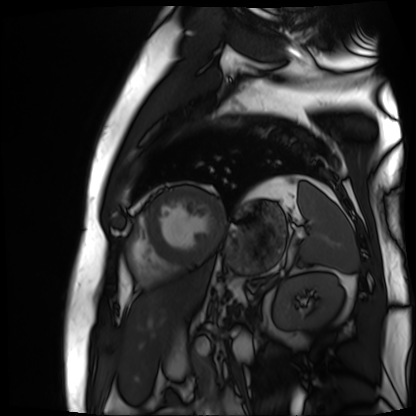
Summary: Cardiac MR image of the myocardium. Subject cohort: cardiac patient.